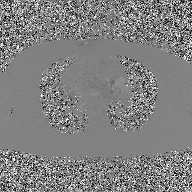
<study>
  <modality>
    <type>2D phase-contrast cine MRI</type>
    <region>ascending aorta</region>
    <reconstruction>GAN super-resolution reconstruction</reconstruction>
  </modality>
</study>